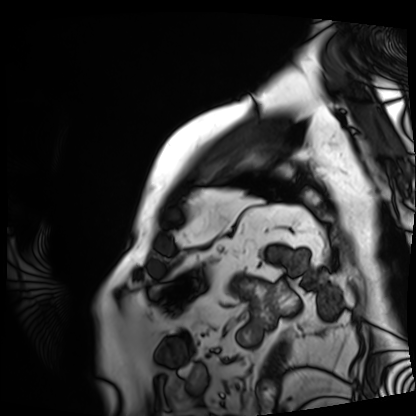
Summary: Cardiac MRI. Subject group: patient.